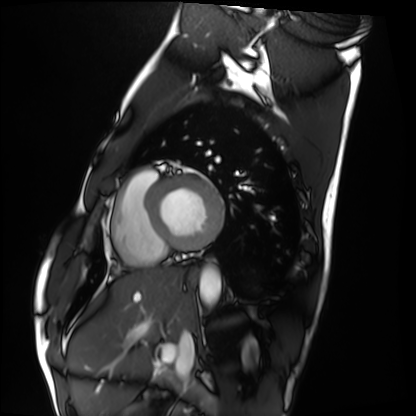
Cardiac MRI. Subject group: healthy volunteer.